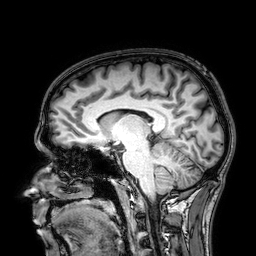
<scan>
  <modality>
    <type>brain MRI</type>
    <field_strength>3T</field_strength>
  </modality>
  <study_topic>ring-enhancing brain masses</study_topic>
</scan>